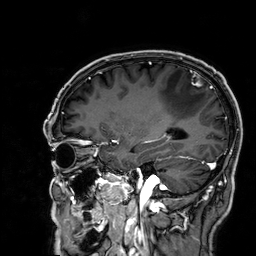
Summary:
3 Tesla brain MRI. Study: ring-enhancing brain masses.